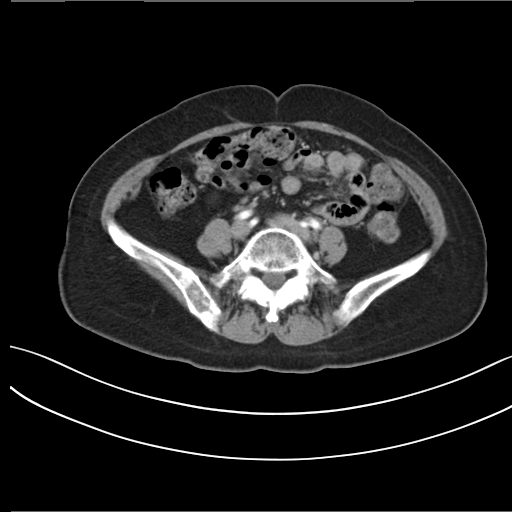
Multiphase abdominal CT, liver, arterial phase. Patient: female, age 56. History: prior chemotherapy.